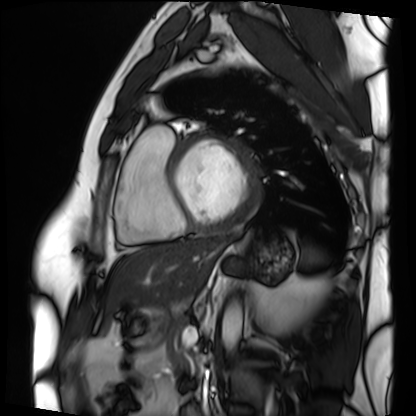
{"modality": "cardiac MRI", "cohort": "patient"}